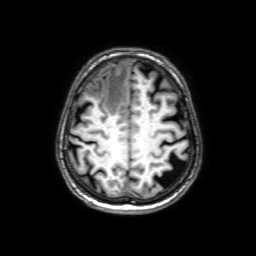
  modality:
    type: brain MRI
    field_strength: 3T
  series: 3D T1-weighted with SENSE
  study_topic: ring-enhancing brain masses